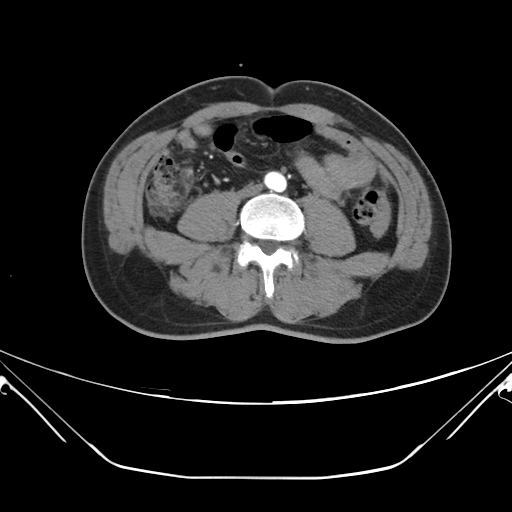
modality = multiphase abdominal CT, liver, arterial phase
patient = male, age 48
history = viral hepatitis